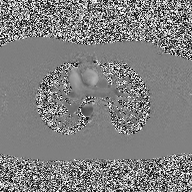
2D phase-contrast cine MRI of the ascending aorta, high-resolution GRAPPA acquisition.